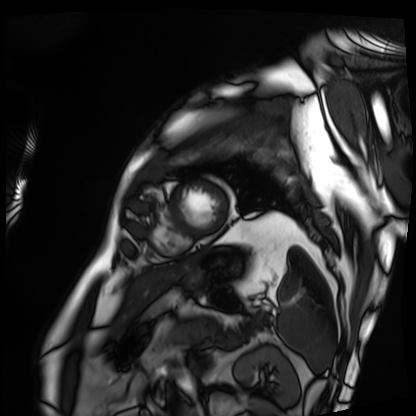
Summary: Cardiac MRI. Subject group: patient.